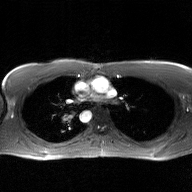
{
  "modality": {
    "type": "2D phase-contrast cine MRI",
    "region": "ascending aorta",
    "reconstruction": "GAN super-resolution reconstruction"
  }
}